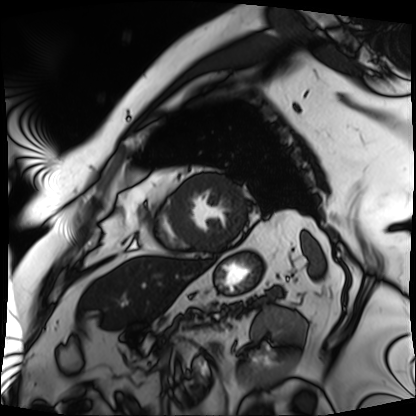
Summary:
Cardiac MRI. Subject group: patient.